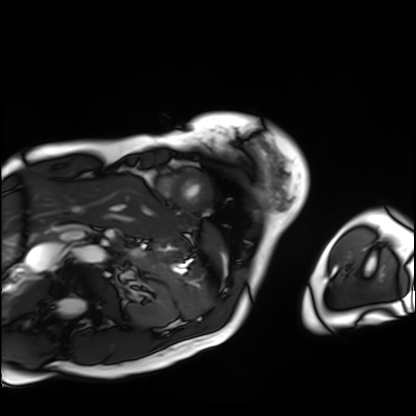
Q: What kind of scan is this?
A: Cardiac MRI.
Subject group: patient.